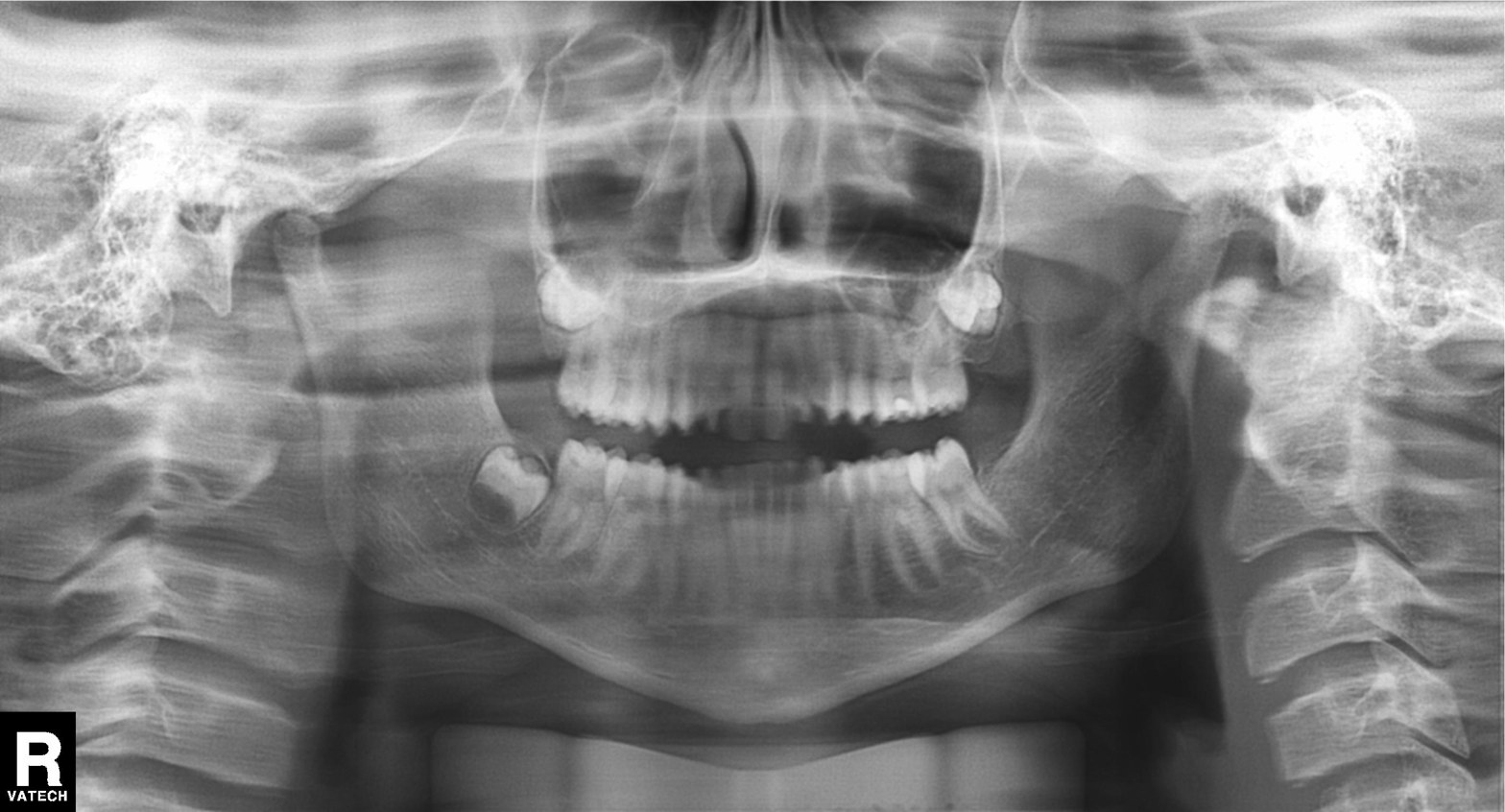
| field | value |
|---|---|
| modality | panoramic dental radiograph (orthopantomogram) |
| finding | tooth impaction |